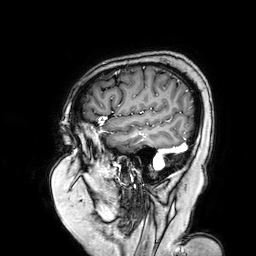
{
  "modality": {
    "type": "brain MRI",
    "field_strength": "3T"
  },
  "series": "3D T1-weighted turbo field echo with SENSE",
  "study_topic": "ring-enhancing brain masses"
}